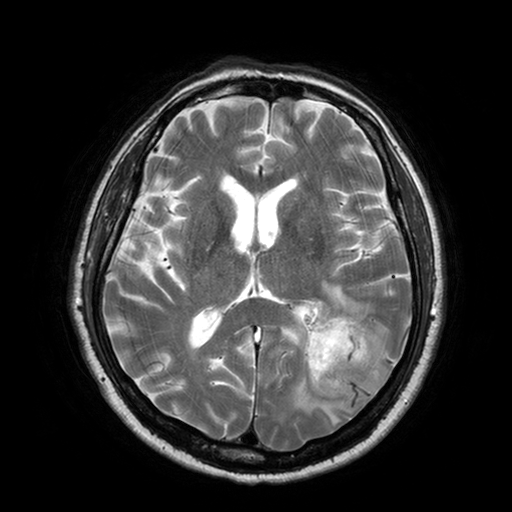
{
  "modality": {
    "type": "brain MRI",
    "field_strength": "3T"
  },
  "series": "T2-weighted turbo spin echo with SENSE",
  "study_topic": "ring-enhancing brain masses"
}